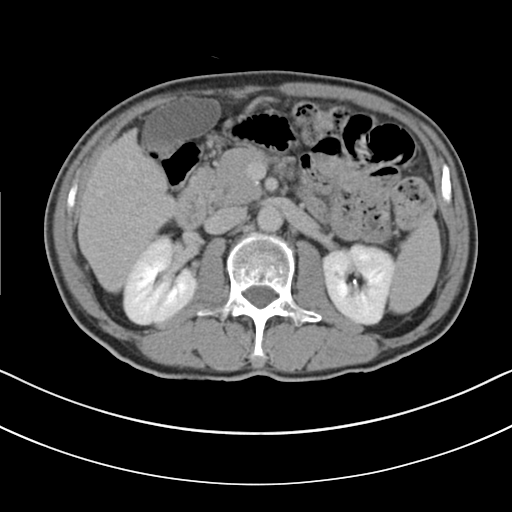
Multiphase abdominal CT, liver, delayed phase. Patient: male, age 69. History: cirrhosis, viral hepatitis.